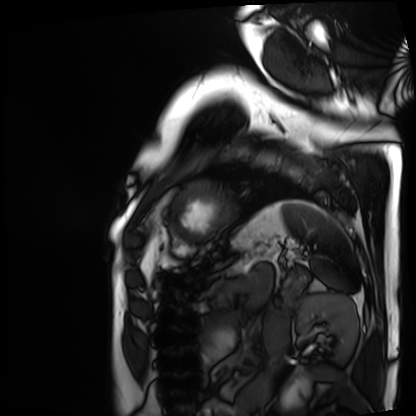
Cardiac MRI. Subject group: patient.